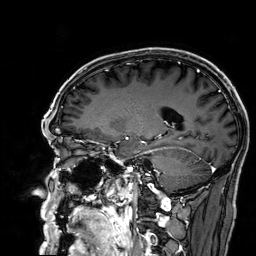
Summary: 3 Tesla brain MRI. Series: 3D T1-weighted. Study: ring-enhancing brain masses.